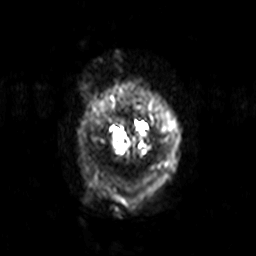
modality:
  type: brain MRI
  field_strength: 3T
series: diffusion-weighted imaging with SENSE (WIP)
study_topic: ring-enhancing brain masses